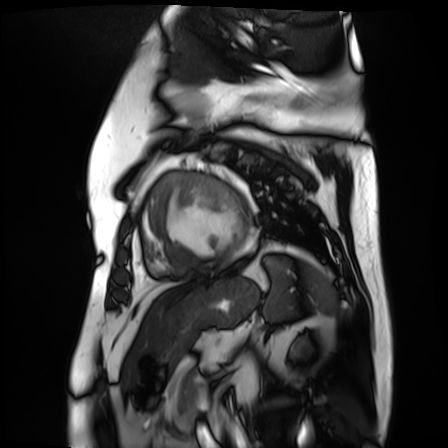
Cardiac MR image of the myocardium.
Subject cohort: cardiac patient.